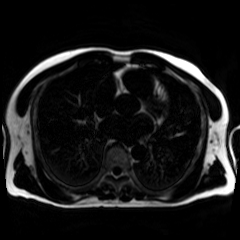
Summary: Chemical-shift-encoded cardiac MRI.